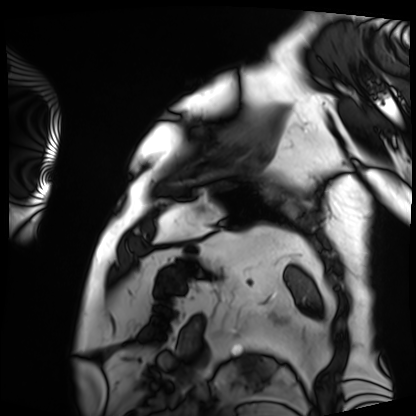
modality = cardiac MRI | subject group = patient.